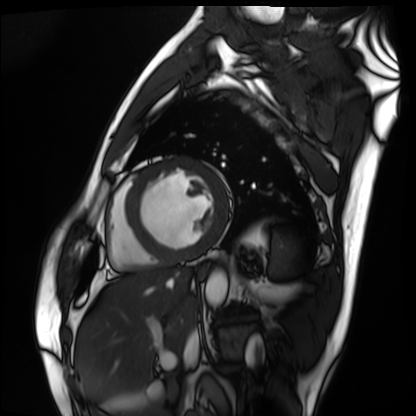
Summary:
Cardiac MRI. Subject group: patient.